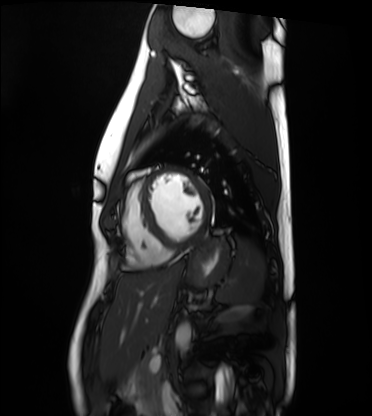
Cardiac MRI. Subject group: healthy volunteer.